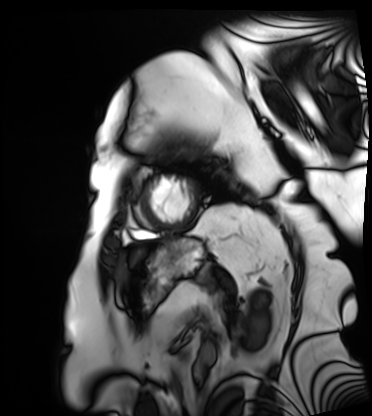
Q: What kind of scan is this?
A: Cardiac MRI.
Subject group: patient.